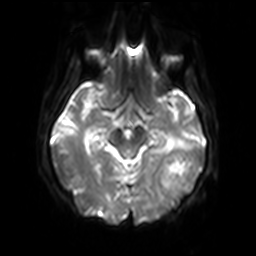
3 Tesla brain MRI. Series: diffusion-weighted imaging with SENSE (WIP). Study: ring-enhancing brain masses.